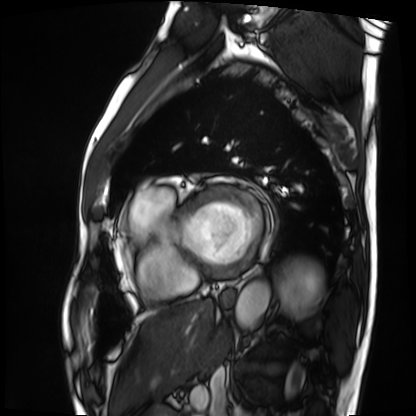
Summary: Cardiac MRI. Subject group: patient.